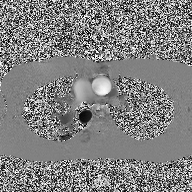
Summary: 2D phase-contrast cine MRI of the ascending aorta, high-resolution GRAPPA acquisition.